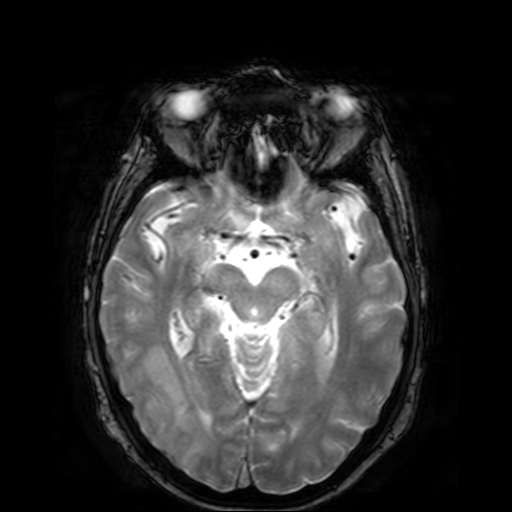
{
  "modality": {
    "type": "brain MRI",
    "field_strength": "3T"
  },
  "series": "T2-weighted fast field echo",
  "study_topic": "ring-enhancing brain masses"
}